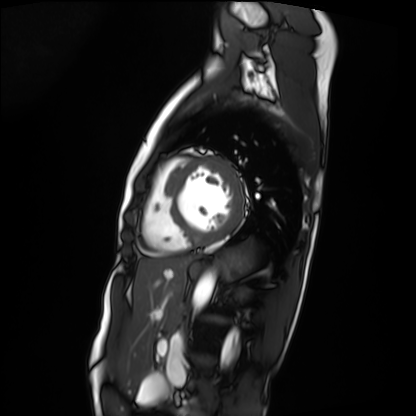
modality: cardiac MRI
cohort: patient